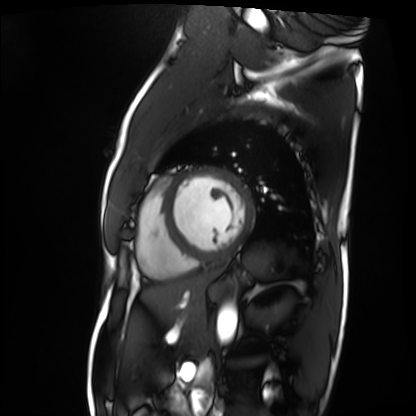
Case summary:
Cardiac MRI. Subject group: patient.